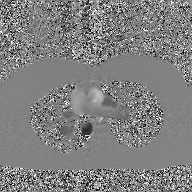
2D phase-contrast cine MRI of the ascending aorta, GAN super-resolution reconstruction.